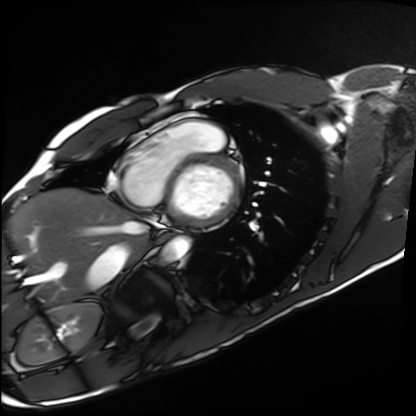
Summary: Cardiac MRI. Subject group: healthy volunteer.